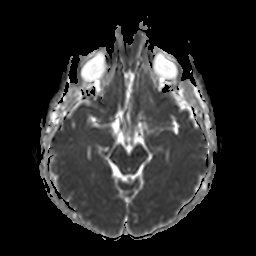
modality:
  type: brain MRI
  field_strength: 3T
study_topic: ring-enhancing brain masses